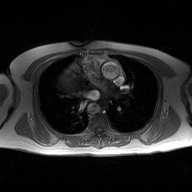
Clinical context:
2D phase-contrast cine MRI of the ascending aorta, high-resolution GRAPPA acquisition.